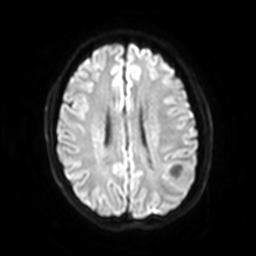
modality: 3 Tesla brain MRI; series: diffusion-weighted imaging with SENSE (WIP); study: ring-enhancing brain masses.